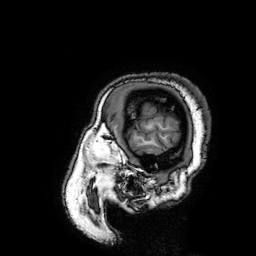
• modality · 3 Tesla brain MRI
• series · 3D T1-weighted turbo field echo with SENSE
• study · ring-enhancing brain masses